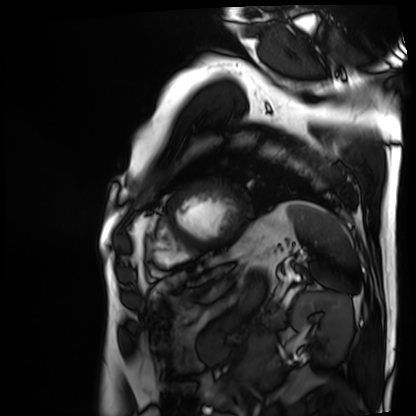
modality=cardiac MRI; subject group=patient.